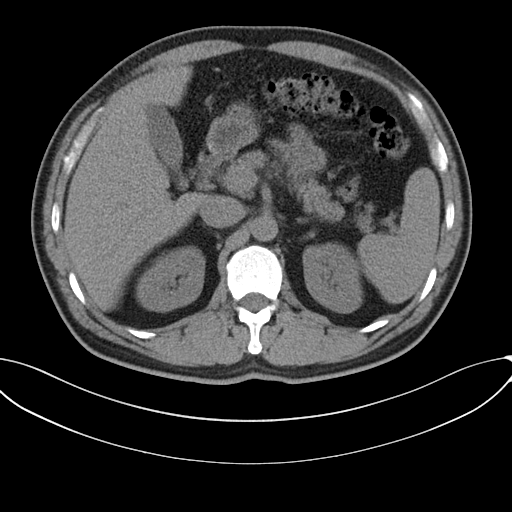
modality: multiphase abdominal CT, liver, non-contrast phase; patient: male, age 46.